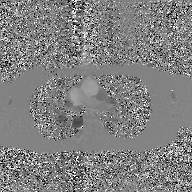
Q: What kind of scan is this?
A: 2D phase-contrast cine MRI of the ascending aorta, GAN super-resolution reconstruction.